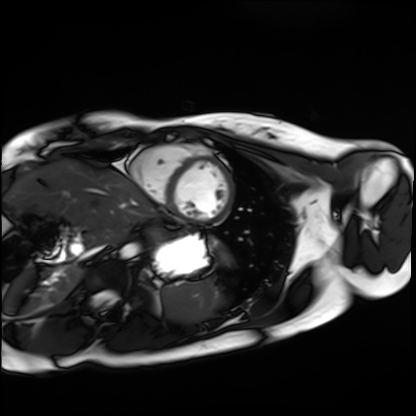
Q: What kind of scan is this?
A: Cardiac MRI.
Subject group: healthy volunteer.